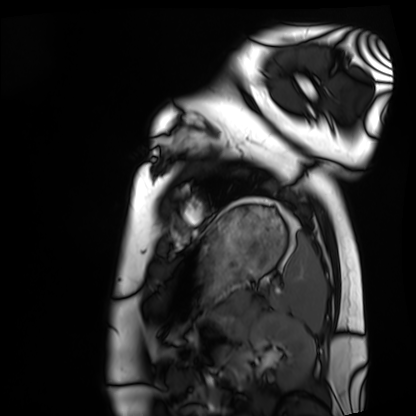
Q: What kind of scan is this?
A: Cardiac MRI.
Subject group: healthy volunteer.